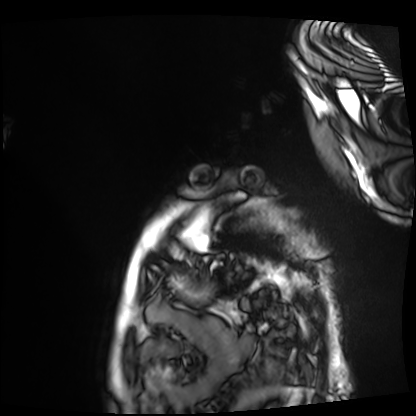
modality: cardiac MRI
cohort: patient